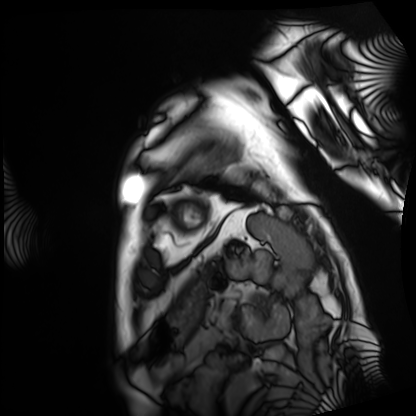
Case summary: Cardiac MRI. Subject group: patient.